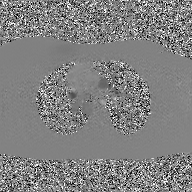
Q: What kind of scan is this?
A: 2D phase-contrast cine MRI of the ascending aorta, GAN super-resolution reconstruction.